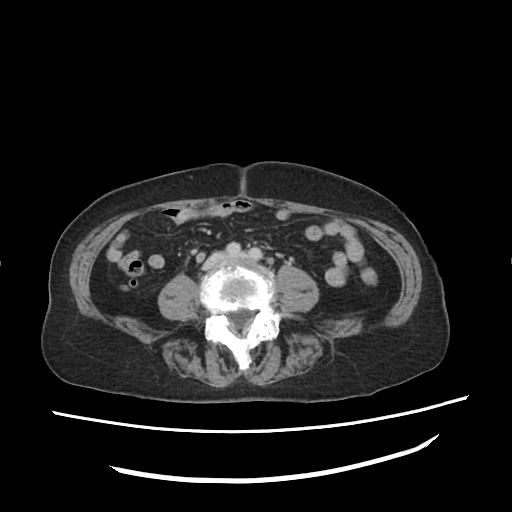
Case summary: Multiphase abdominal CT, liver, delayed phase. Patient: female, age 75.